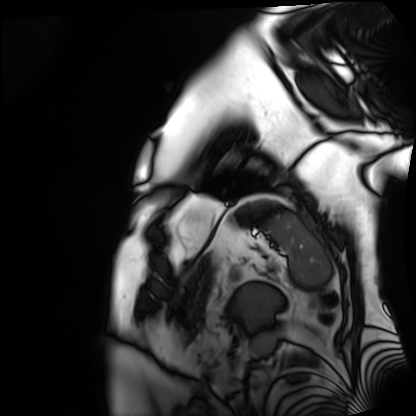
modality: cardiac MRI | subject group: patient.